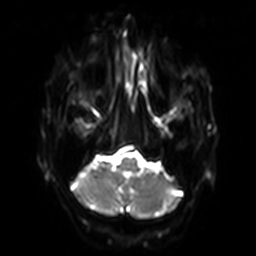
– modality: 3 Tesla brain MRI
– series: diffusion-weighted imaging with SENSE (WIP)
– study: ring-enhancing brain masses